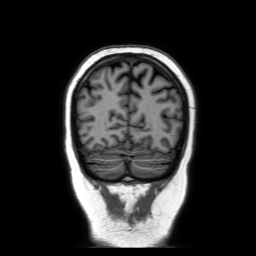
modality = 3 Tesla brain MRI | series = coronal without contrast | study = ring-enhancing brain masses.